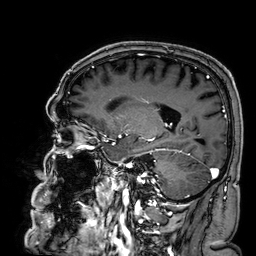
3 Tesla brain MRI. Series: 3D T1-weighted. Study: ring-enhancing brain masses.